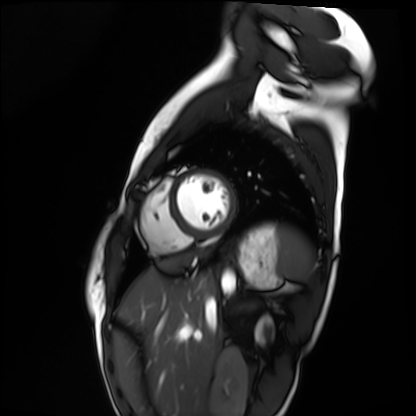
modality=cardiac MRI | subject group=healthy volunteer.